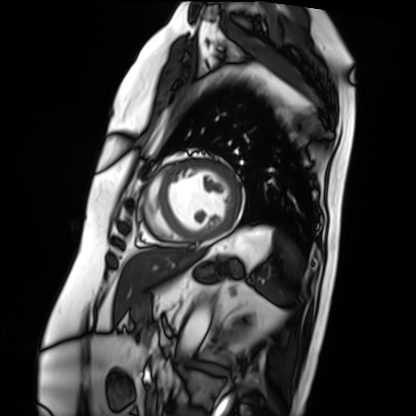
Cardiac MRI.
Subject group: patient.